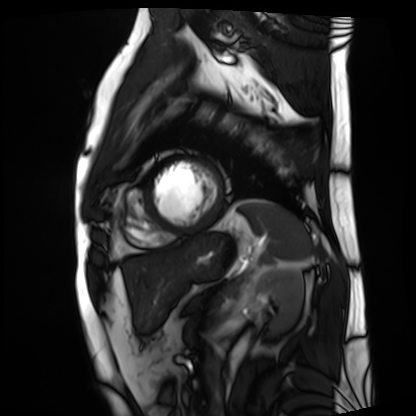
Case summary: Cardiac MRI. Subject group: patient.